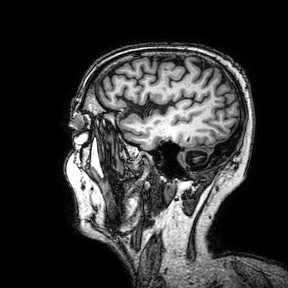
modality — 3 Tesla brain MRI | series — 3D T1-weighted turbo field echo with SENSE | study — ring-enhancing brain masses.